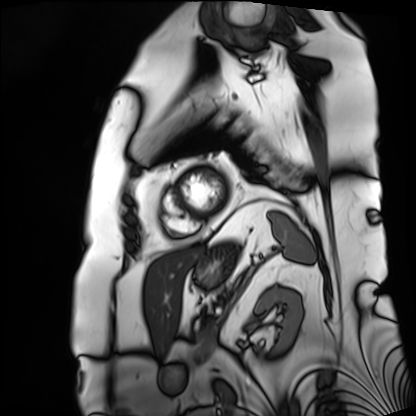
  modality: cardiac MRI
  cohort: patient